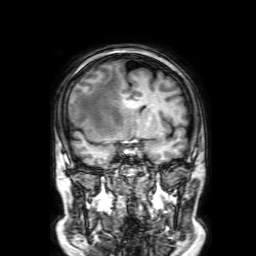
Q: What kind of scan is this?
A: 3 Tesla brain MRI.
Q: Series?
A: 3D T1-weighted with SENSE.
Study: ring-enhancing brain masses.